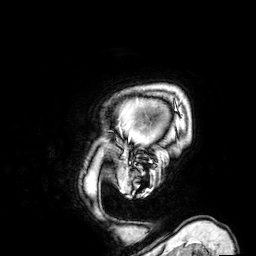
3 Tesla brain MRI. Series: 3D T1-weighted. Study: ring-enhancing brain masses.